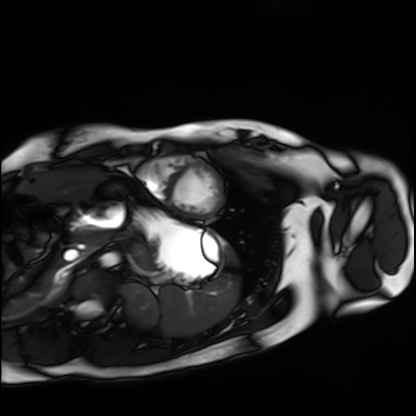
- modality: cardiac MRI
- subject group: healthy volunteer